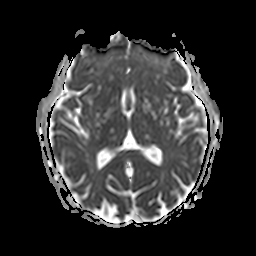
Q: What kind of scan is this?
A: 3 Tesla brain MRI.
Q: Series?
A: Apparent diffusion coefficient (ADC) map.
Study: ring-enhancing brain masses.